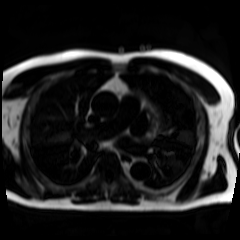
Chemical-shift-encoded cardiac MRI.